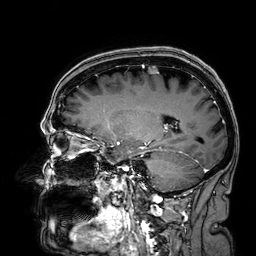
Q: What kind of scan is this?
A: 3 Tesla brain MRI.
Q: Series?
A: 3D T1-weighted.
Study: ring-enhancing brain masses.